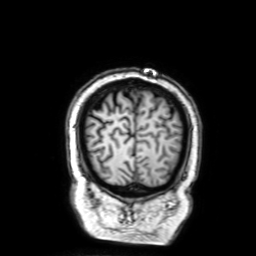
Q: What kind of scan is this?
A: 3 Tesla brain MRI.
Q: Series?
A: 3D T1-weighted with SENSE.
Study: ring-enhancing brain masses.